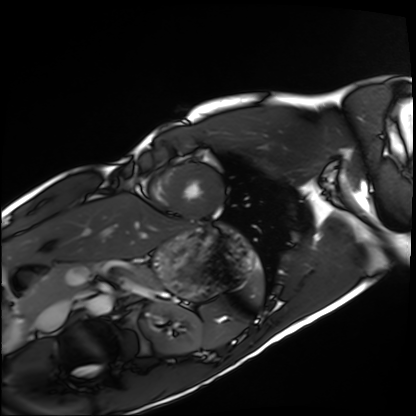
{
  "modality": "cardiac MRI",
  "cohort": "healthy volunteer"
}